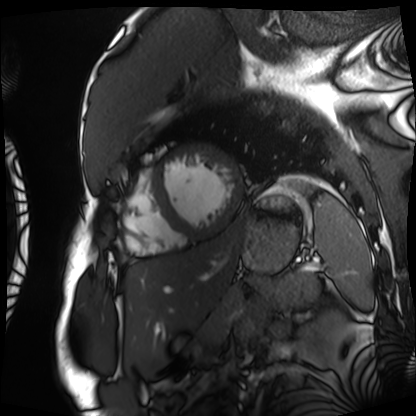
modality = cardiac MRI
subject group = patient